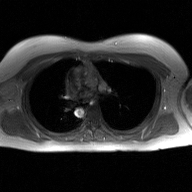
2D phase-contrast cine MRI of the ascending aorta, GAN super-resolution reconstruction.